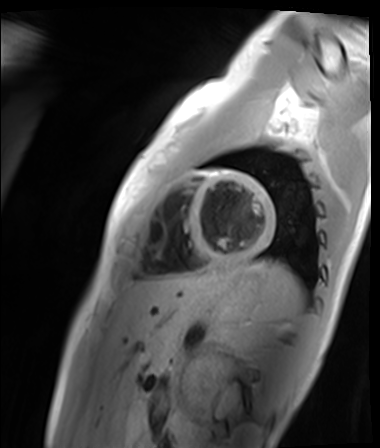
{
  "modality": "cardiac MR image of the myocardium",
  "cohort": "healthy volunteer"
}